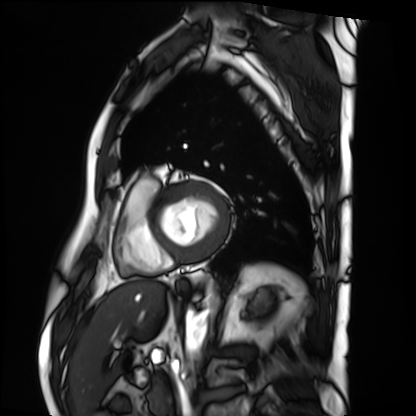
modality = cardiac MRI | subject group = patient.